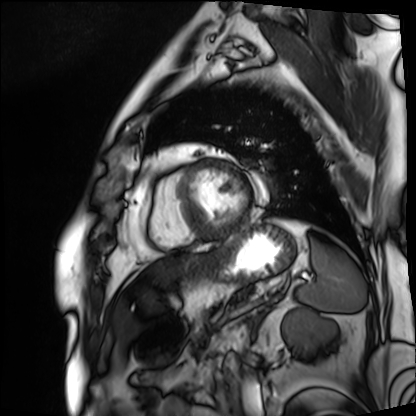
Cardiac MRI.
Subject group: patient.